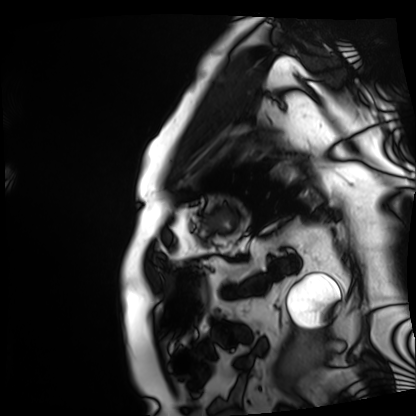
Case:
* modality: cardiac MRI
* subject group: patient